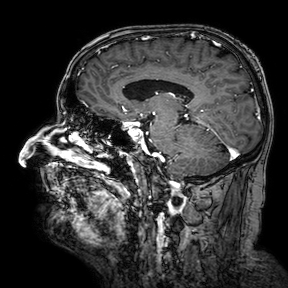
modality = 3 Tesla brain MRI
series = 3D T1-weighted turbo field echo with SENSE
study = ring-enhancing brain masses